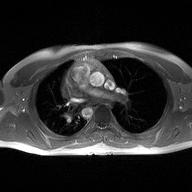
Summary: 2D phase-contrast cine MRI of the ascending aorta, high-resolution GRAPPA acquisition.